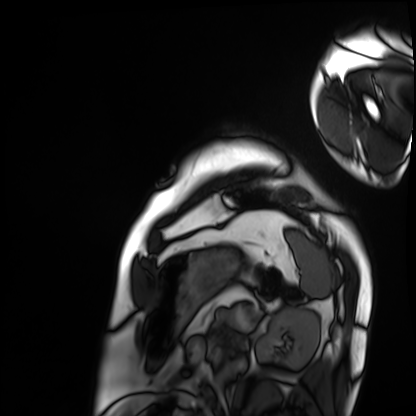
Cardiac MRI.
Subject group: patient.